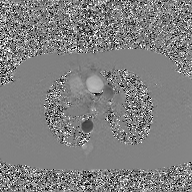
2D phase-contrast cine MRI of the ascending aorta, GAN super-resolution reconstruction.